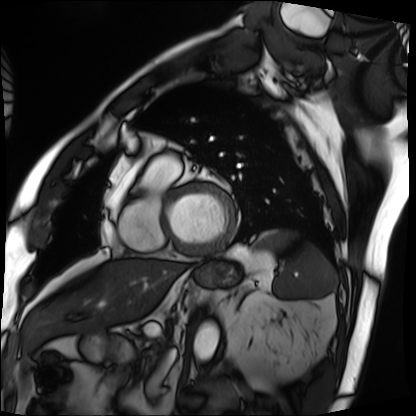
- modality · cardiac MRI
- subject group · patient